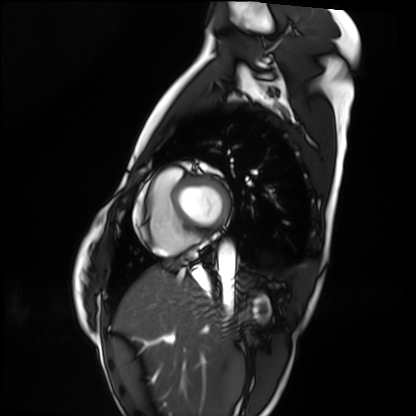
modality = cardiac MRI | subject group = healthy volunteer.